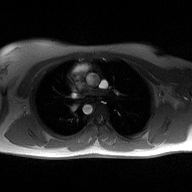
{"modality": {"type": "2D phase-contrast cine MRI", "region": "ascending aorta", "reconstruction": "high-resolution GRAPPA acquisition"}}